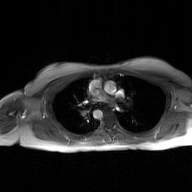
| field | value |
|---|---|
| modality | 2D phase-contrast cine MRI of the ascending aorta, GAN super-resolution reconstruction |